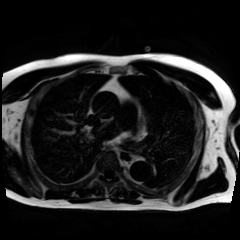
Case summary:
Chemical-shift-encoded cardiac MRI.